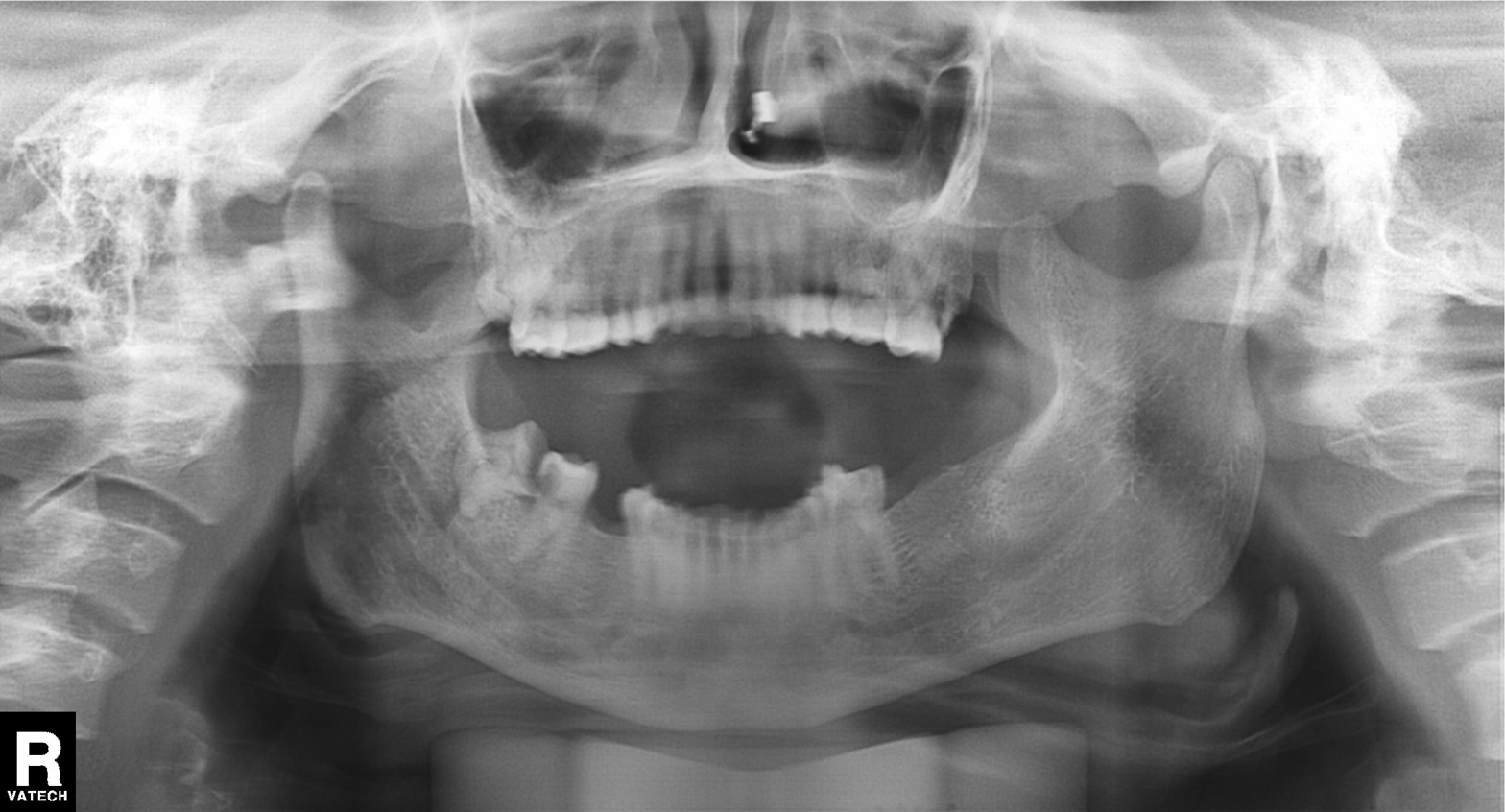
Clinical context:
Panoramic dental radiograph (orthopantomogram).
Assessment:
Dental caries (cavities).